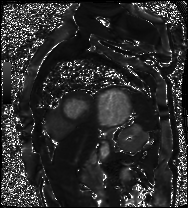
modality: cardiac MR image of the myocardium; subject cohort: cardiac patient.